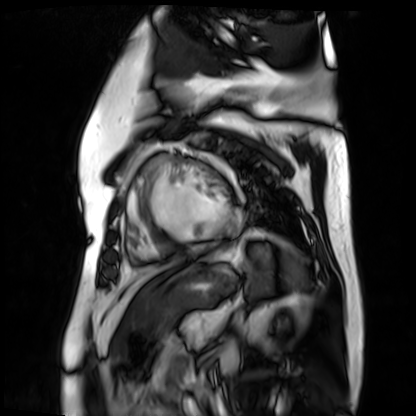
– modality · cardiac MR image of the myocardium
– subject cohort · cardiac patient